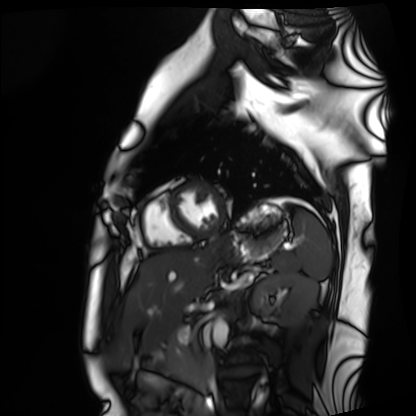
<study>
<modality>cardiac MRI</modality>
<cohort>healthy volunteer</cohort>
</study>